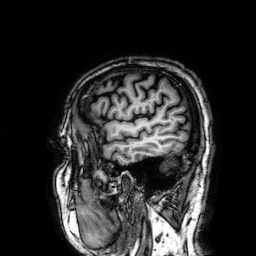
3 Tesla brain MRI. Series: 3D T1-weighted. Study: ring-enhancing brain masses.